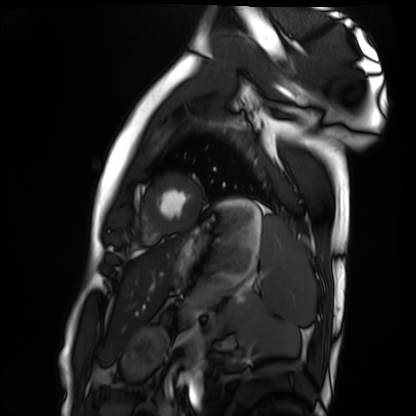
Cardiac MRI. Subject group: healthy volunteer.